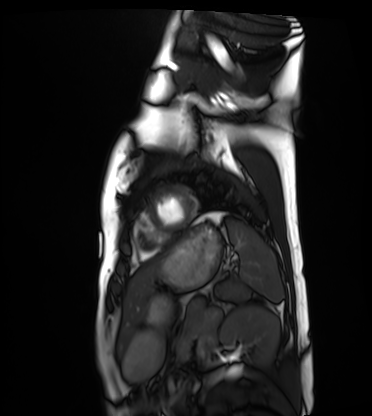
Summary: Cardiac MRI. Subject group: healthy volunteer.